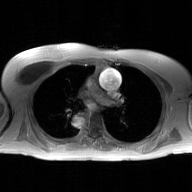
Q: What kind of scan is this?
A: 2D phase-contrast cine MRI of the ascending aorta, GAN super-resolution reconstruction.